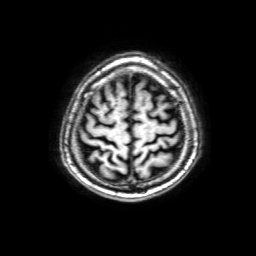
modality=3 Tesla brain MRI; series=3D T1-weighted with SENSE; study=ring-enhancing brain masses.